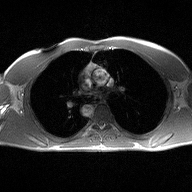
Case:
• modality: 2D phase-contrast cine MRI of the ascending aorta